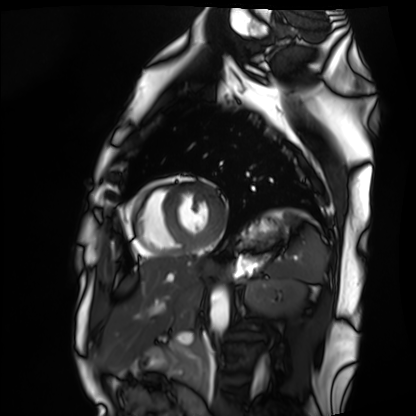
{
  "modality": "cardiac MRI",
  "cohort": "healthy volunteer"
}